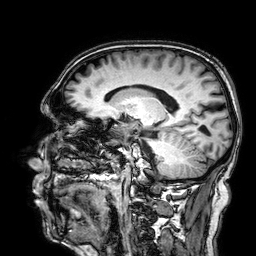
  modality:
    type: brain MRI
    field_strength: 3T
  series: 3D T1-weighted
  study_topic: ring-enhancing brain masses